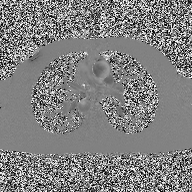
Case summary:
2D phase-contrast cine MRI of the ascending aorta, high-resolution GRAPPA acquisition.